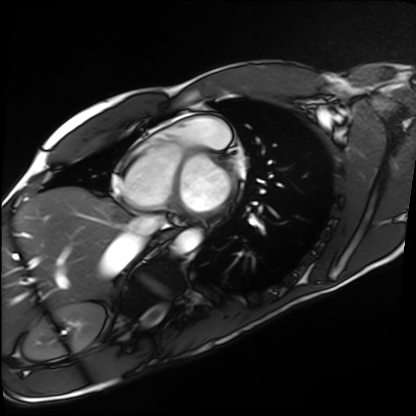
{
  "modality": "cardiac MRI",
  "cohort": "healthy volunteer"
}